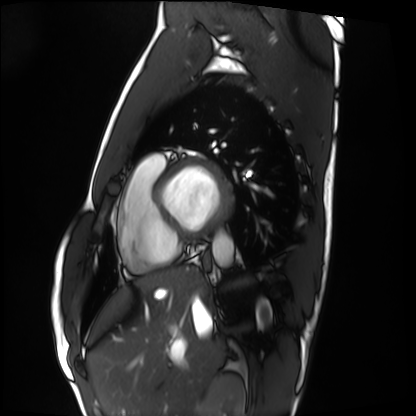
Summary:
Cardiac MRI. Subject group: healthy volunteer.